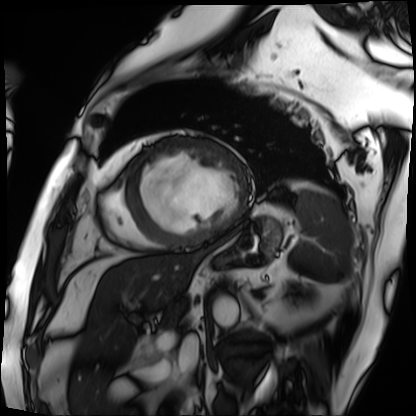
Cardiac MRI.
Subject group: patient.